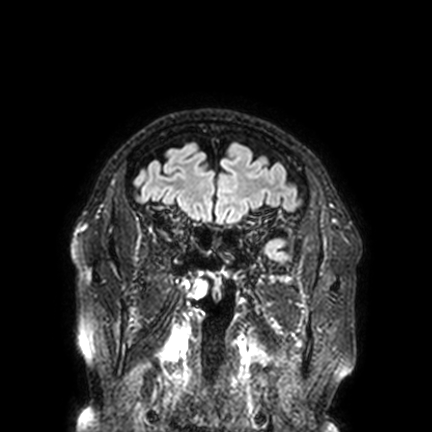
3 Tesla brain MRI. Series: FLAIR VISTA with SENSE. Study: ring-enhancing brain masses.